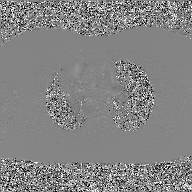
modality = 2D phase-contrast cine MRI of the ascending aorta, GAN super-resolution reconstruction.